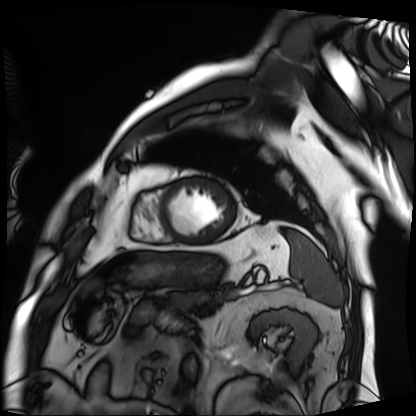
Cardiac MRI.
Subject group: patient.